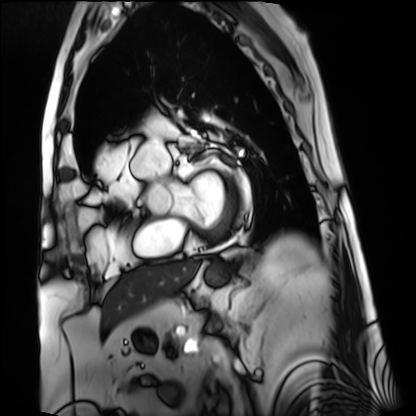
  modality: cardiac MRI
  cohort: patient